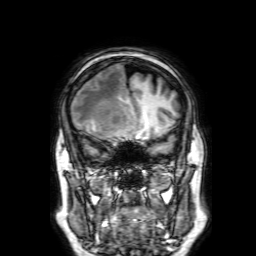
Case summary:
3 Tesla brain MRI. Series: 3D T1-weighted with SENSE. Study: ring-enhancing brain masses.